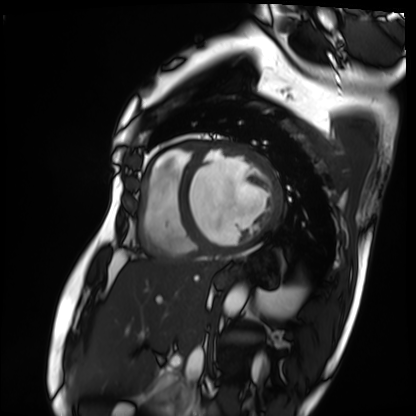
{
  "modality": "cardiac MRI",
  "cohort": "patient"
}